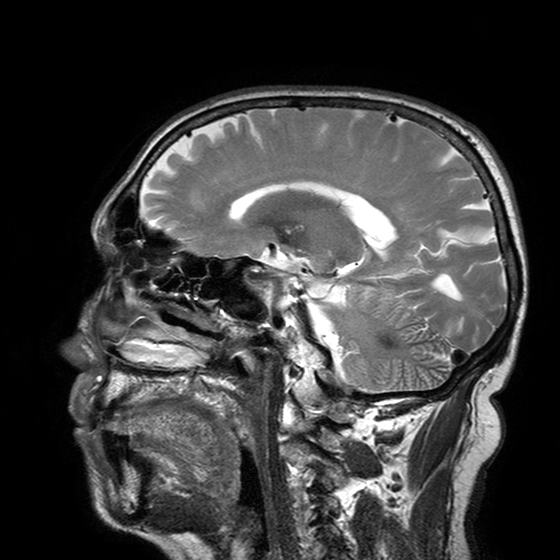
– modality — 3 Tesla brain MRI
– series — T2-weighted turbo spin echo with SENSE
– study — ring-enhancing brain masses